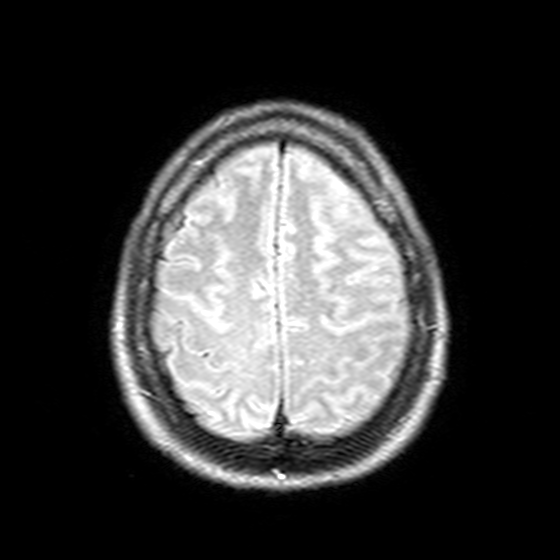
3 Tesla brain MRI. Series: T2-weighted FLAIR. Study: ring-enhancing brain masses.